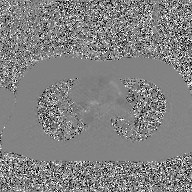
| field | value |
|---|---|
| modality | 2D phase-contrast cine MRI of the ascending aorta, GAN super-resolution reconstruction |